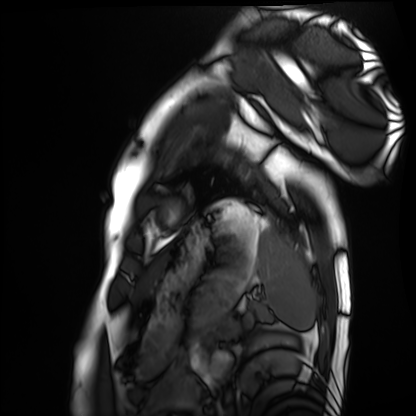
| field | value |
|---|---|
| modality | cardiac MRI |
| subject group | healthy volunteer |